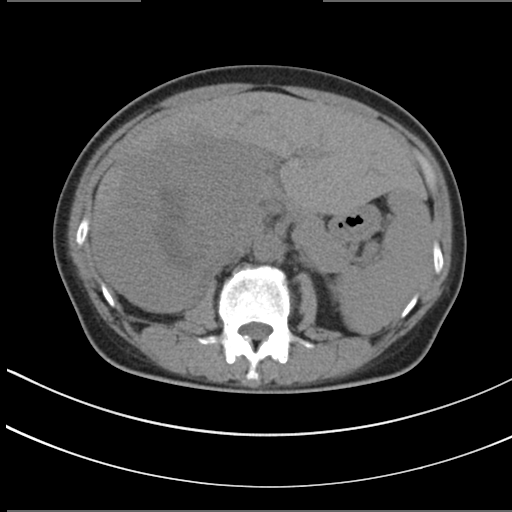
modality:
  type: multiphase abdominal CT
  region: liver
  phase: non-contrast
patient:
  sex: female
  age: 55